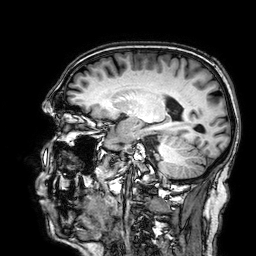
- modality: 3 Tesla brain MRI
- series: 3D T1-weighted
- study: ring-enhancing brain masses